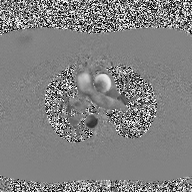
{"modality": {"type": "2D phase-contrast cine MRI", "region": "ascending aorta", "reconstruction": "high-resolution GRAPPA acquisition"}}